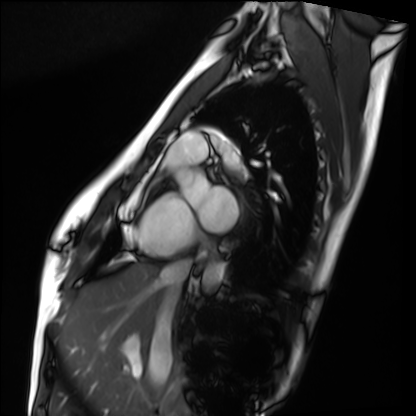
Summary: Cardiac MRI. Subject group: healthy volunteer.